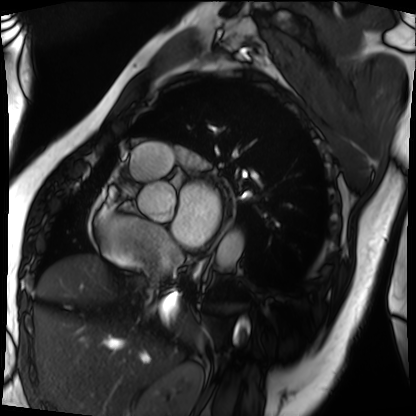
modality = cardiac MRI; subject group = patient.